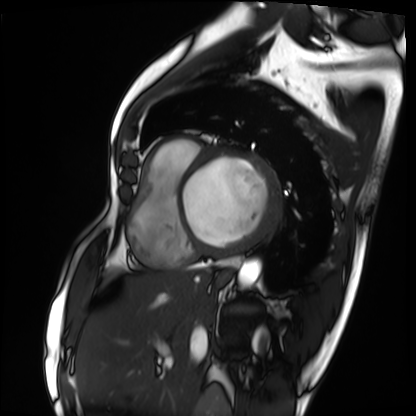
Cardiac MRI.
Subject group: patient.